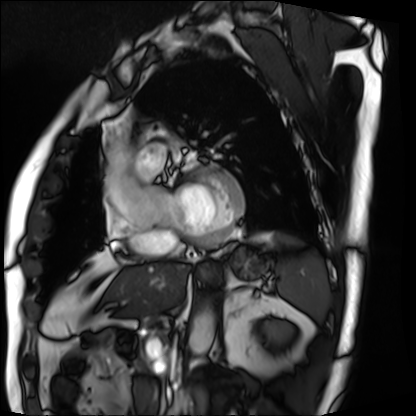
| field | value |
|---|---|
| modality | cardiac MRI |
| subject group | patient |